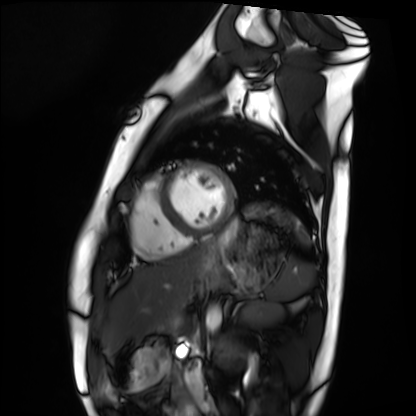
Clinical context: Cardiac MRI. Subject group: healthy volunteer.